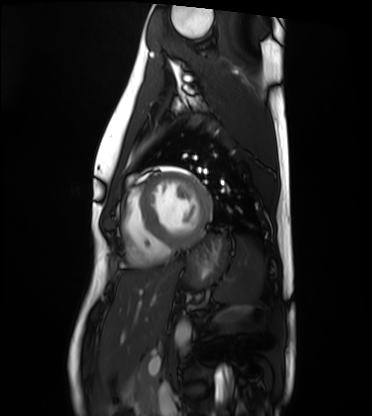
| field | value |
|---|---|
| modality | cardiac MRI |
| subject group | healthy volunteer |